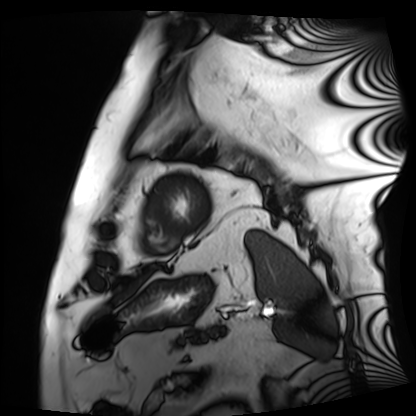
Summary: Cardiac MRI. Subject group: patient.